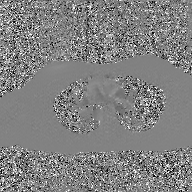
Summary: 2D phase-contrast cine MRI of the ascending aorta, GAN super-resolution reconstruction.